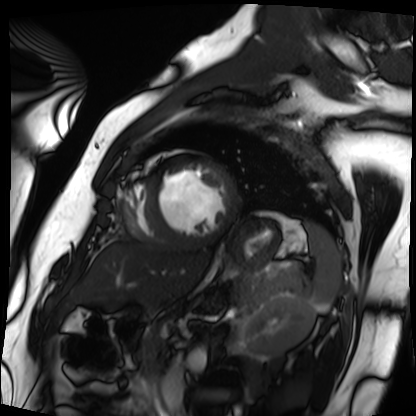
Clinical context: Cardiac MRI. Subject group: patient.